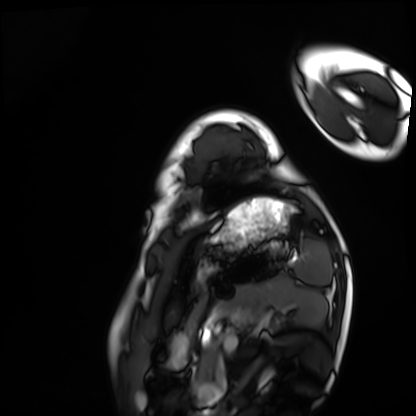
Q: What kind of scan is this?
A: Cardiac MRI.
Subject group: healthy volunteer.